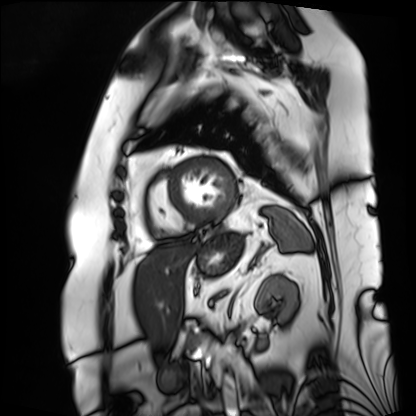
Clinical context: Cardiac MRI. Subject group: patient.